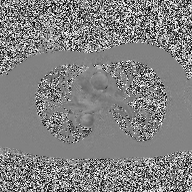
Case summary:
2D phase-contrast cine MRI of the ascending aorta, high-resolution GRAPPA acquisition.